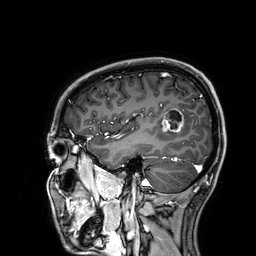
3 Tesla brain MRI. Series: 3D T1-weighted. Study: ring-enhancing brain masses.